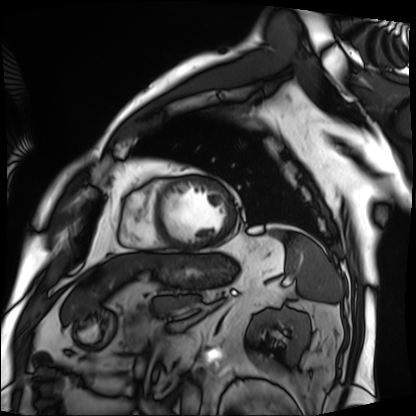
modality: cardiac MRI; subject group: patient.